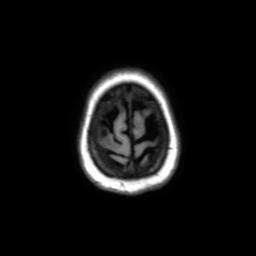
modality = 3 Tesla brain MRI | series = axial without contrast | study = ring-enhancing brain masses.